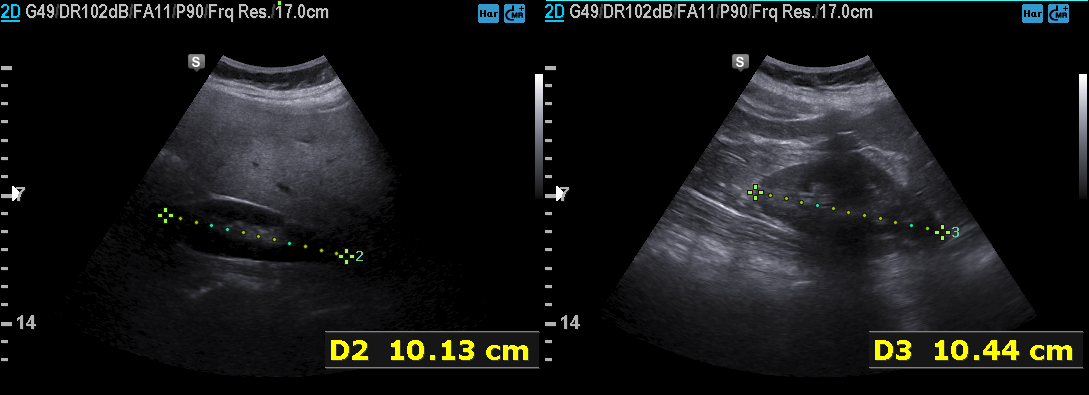
Case summary:
Genitourinary ultrasound.